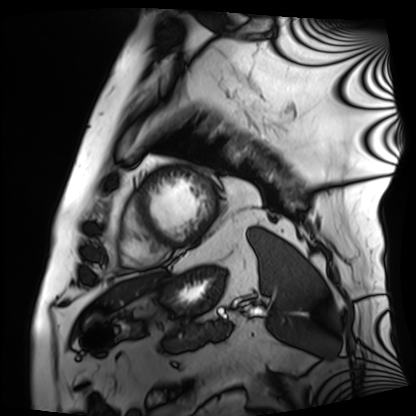
Cardiac MRI. Subject group: patient.